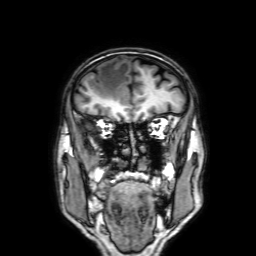
3 Tesla brain MRI. Series: 3D T1-weighted with SENSE. Study: ring-enhancing brain masses.